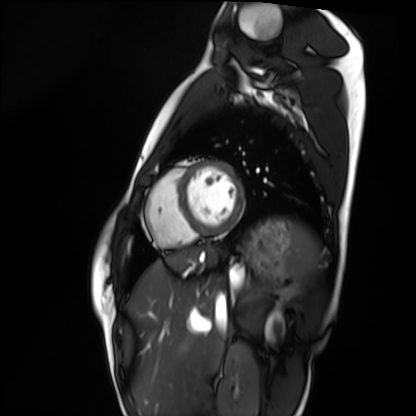
Q: What kind of scan is this?
A: Cardiac MRI.
Subject group: healthy volunteer.